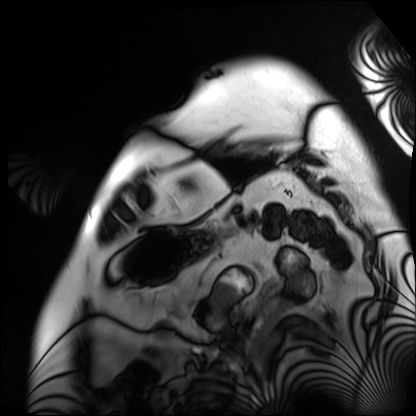
| field | value |
|---|---|
| modality | cardiac MRI |
| subject group | patient |